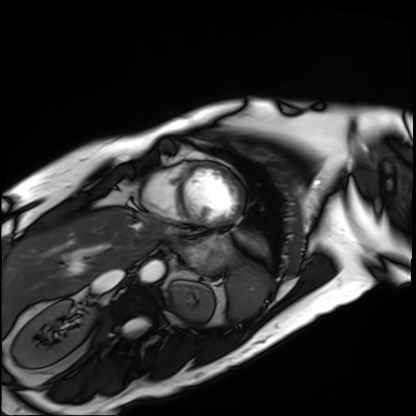
Case:
– modality · cardiac MRI
– subject group · patient